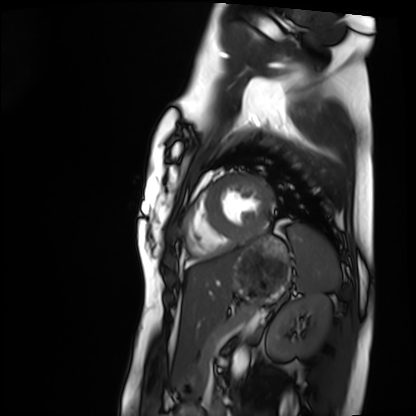
Case summary: Cardiac MRI. Subject group: healthy volunteer.